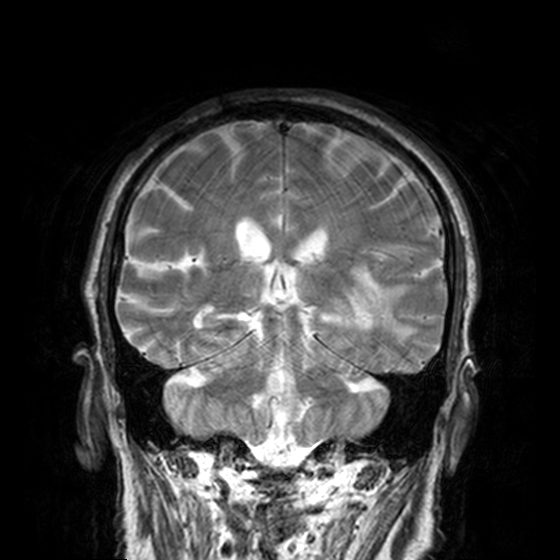
{
  "modality": {
    "type": "brain MRI",
    "field_strength": "3T"
  },
  "series": "T2-weighted turbo spin echo, 3 mm",
  "study_topic": "ring-enhancing brain masses"
}